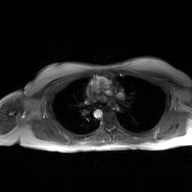
modality — 2D phase-contrast cine MRI of the ascending aorta, GAN super-resolution reconstruction.